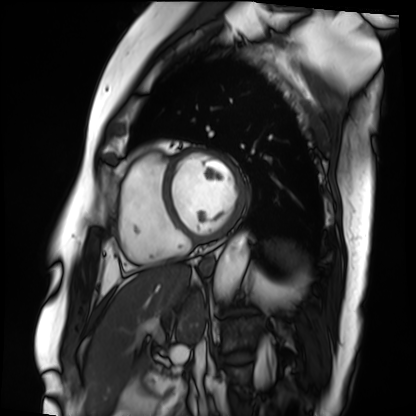
Clinical context:
Cardiac MRI. Subject group: patient.